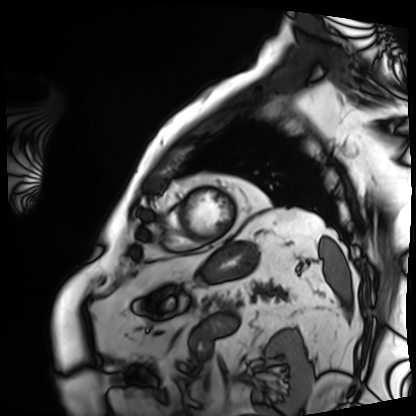
Q: What kind of scan is this?
A: Cardiac MRI.
Subject group: patient.